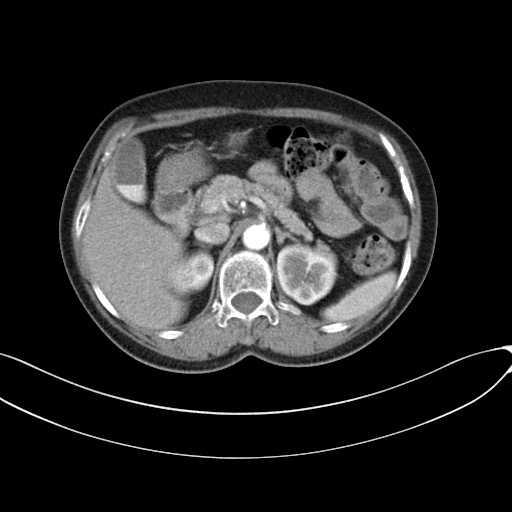
<scan>
<modality>
  <type>multiphase abdominal CT</type>
  <region>liver</region>
  <phase>arterial</phase>
</modality>
</scan>